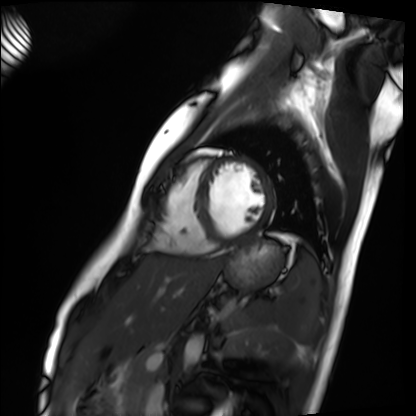
Q: What kind of scan is this?
A: Cardiac MRI.
Subject group: healthy volunteer.